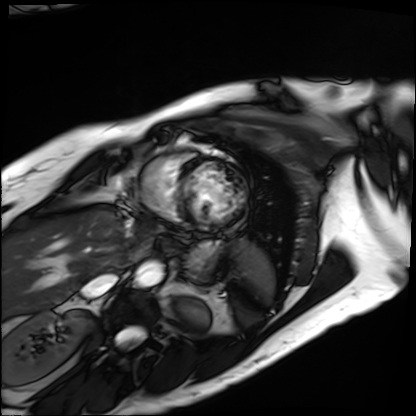
Cardiac MRI. Subject group: patient.